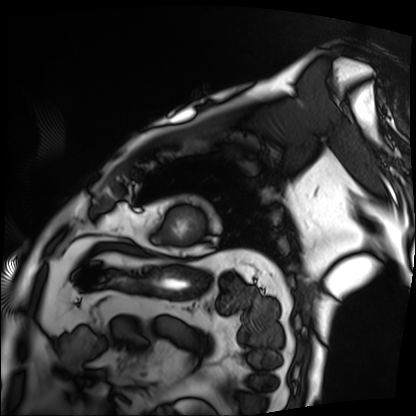
Cardiac MRI. Subject group: patient.